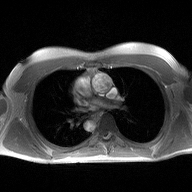
Q: What kind of scan is this?
A: 2D phase-contrast cine MRI of the ascending aorta.